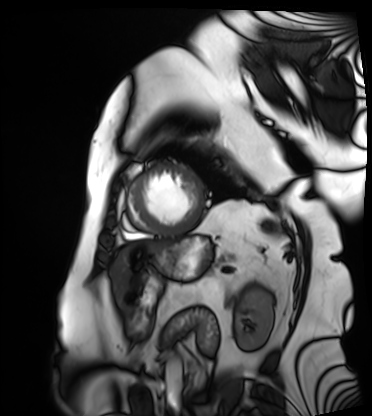
Summary:
Cardiac MRI. Subject group: patient.